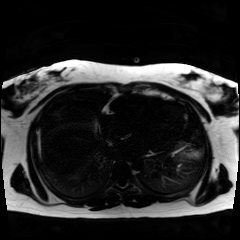
Chemical-shift-encoded cardiac MRI.